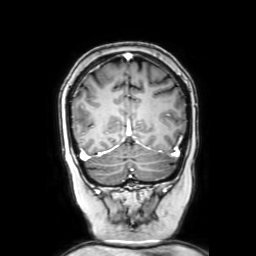
Q: What kind of scan is this?
A: 3 Tesla brain MRI.
Study: ring-enhancing brain masses.